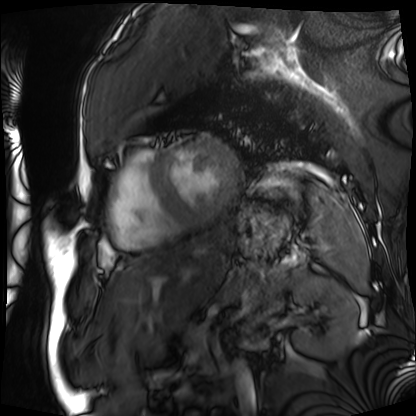
• modality — cardiac MRI
• subject group — patient